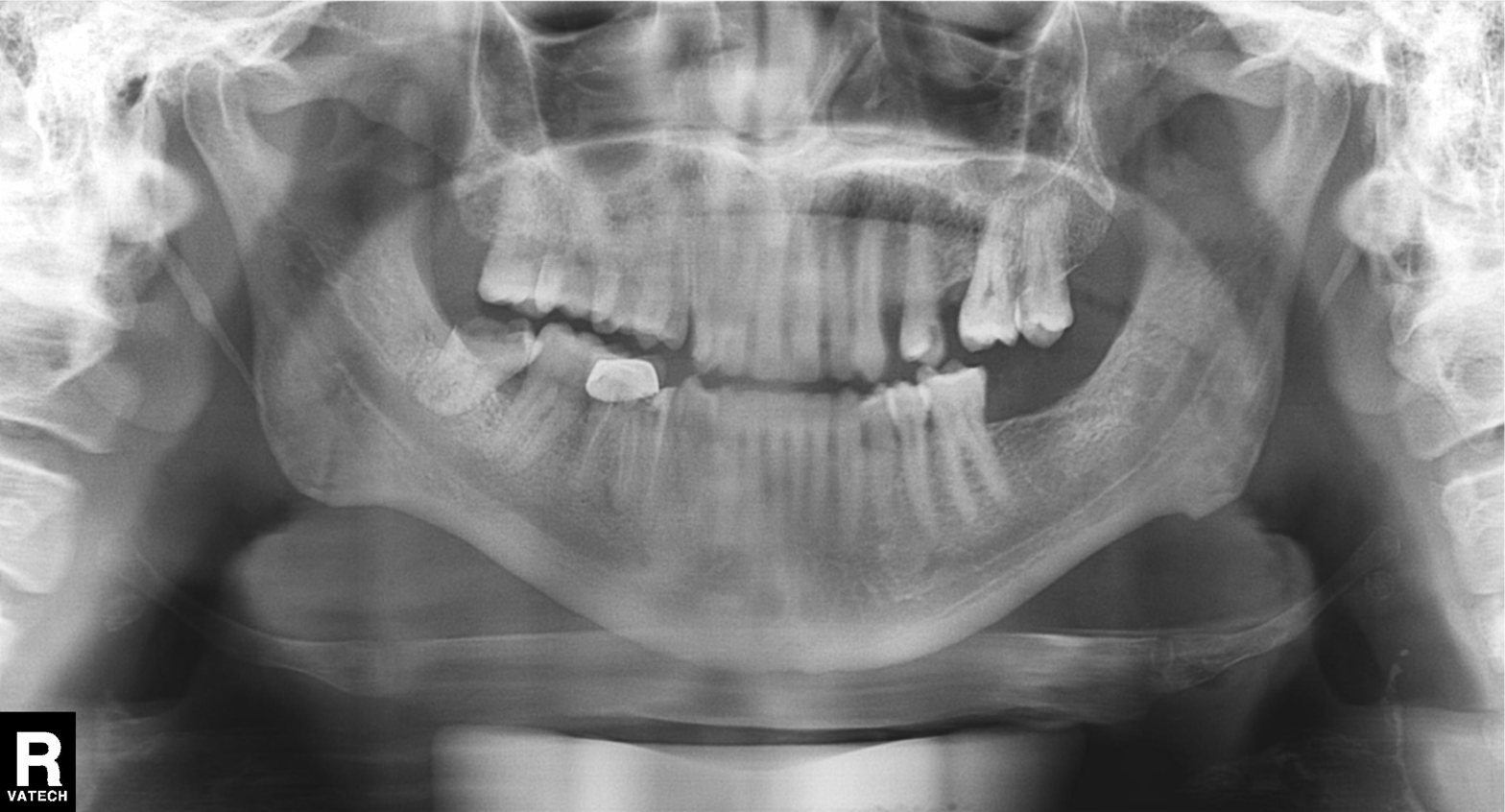
Panoramic dental radiograph (orthopantomogram). Finding: alveolar bone loss.